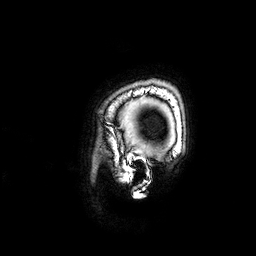
modality = 3 Tesla brain MRI
study = ring-enhancing brain masses